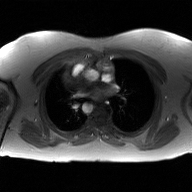
2D phase-contrast cine MRI of the ascending aorta, GAN super-resolution reconstruction.